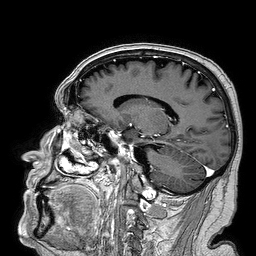
Summary: 3 Tesla brain MRI. Series: 3D T1-weighted turbo field echo. Study: ring-enhancing brain masses.